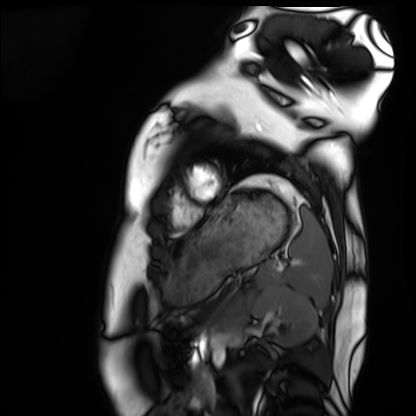
Cardiac MRI.
Subject group: healthy volunteer.